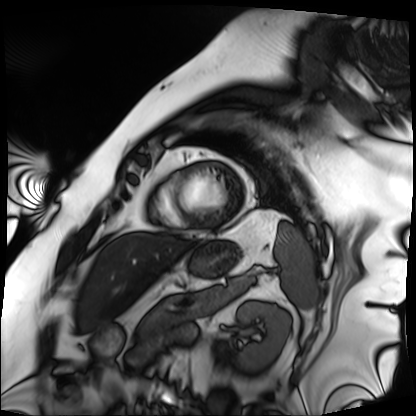
<scan>
<modality>cardiac MRI</modality>
<cohort>patient</cohort>
</scan>